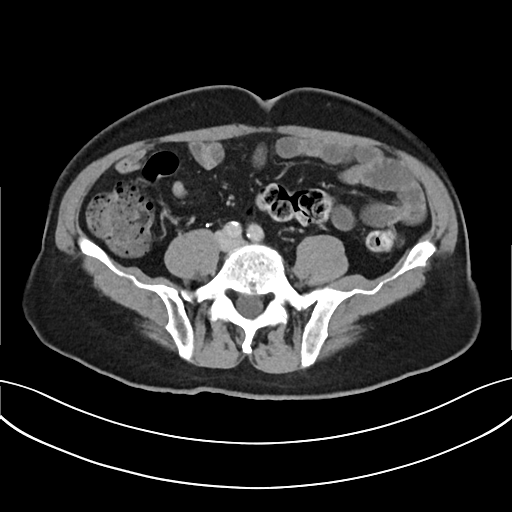
| field | value |
|---|---|
| modality | multiphase abdominal CT, liver, delayed phase |
| patient | male, age 72 |
| history | prior chemotherapy |